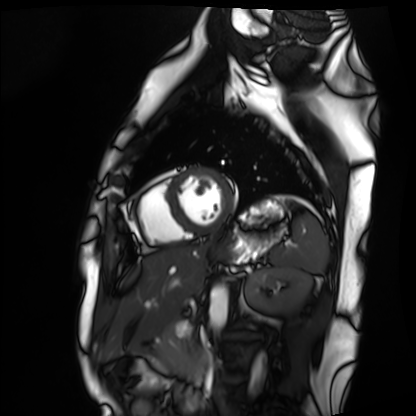
{"modality": "cardiac MRI", "cohort": "healthy volunteer"}